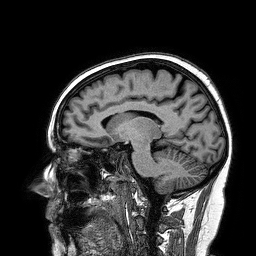
Q: What kind of scan is this?
A: 3 Tesla brain MRI.
Q: Series?
A: 3D T1-weighted turbo field echo.
Study: ring-enhancing brain masses.